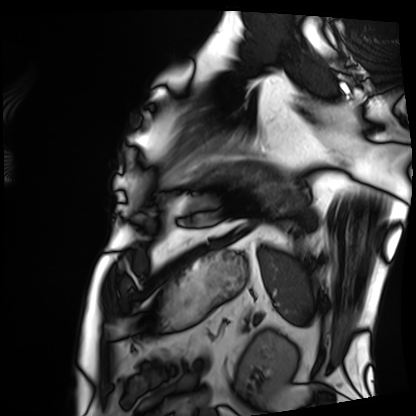
{"modality": "cardiac MRI", "cohort": "patient"}